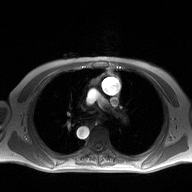
modality = 2D phase-contrast cine MRI of the ascending aorta